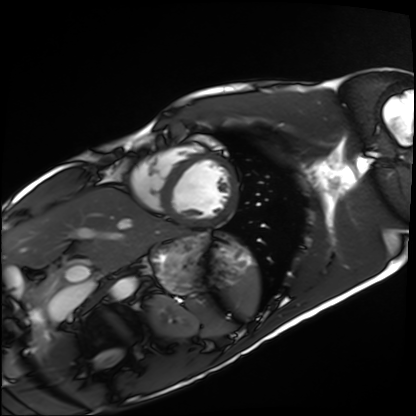
{
  "modality": "cardiac MRI",
  "cohort": "healthy volunteer"
}